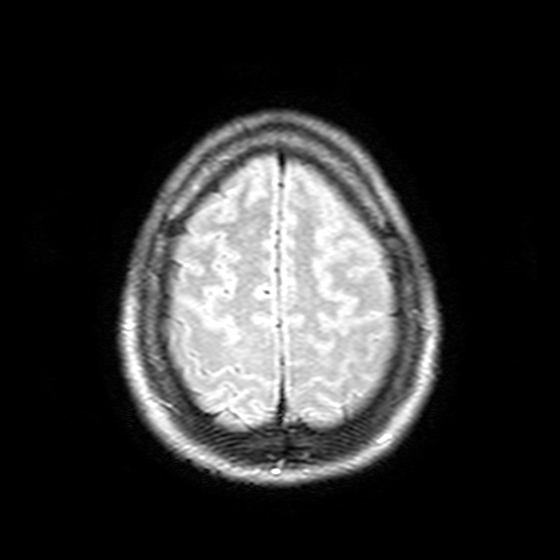
Clinical context:
3 Tesla brain MRI. Series: T2-weighted FLAIR. Study: ring-enhancing brain masses.